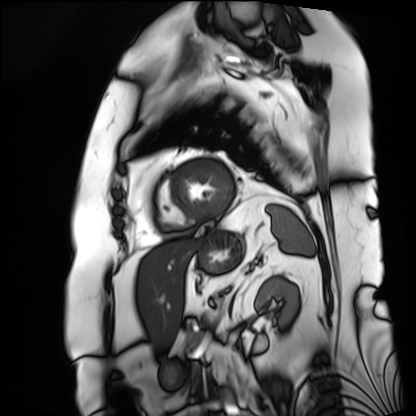
Cardiac MRI.
Subject group: patient.